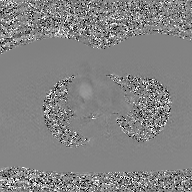
Case summary:
2D phase-contrast cine MRI of the ascending aorta, GAN super-resolution reconstruction.